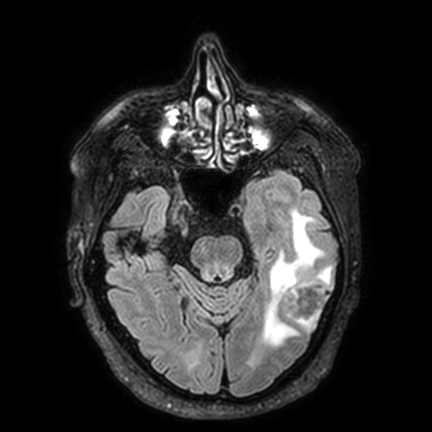
Clinical context: 3 Tesla brain MRI. Series: FLAIR VISTA with SENSE. Study: ring-enhancing brain masses.